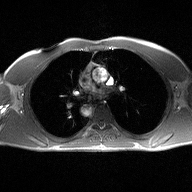
Q: What kind of scan is this?
A: 2D phase-contrast cine MRI of the ascending aorta.